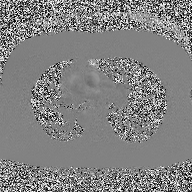
Case summary: 2D phase-contrast cine MRI of the ascending aorta, high-resolution GRAPPA acquisition.